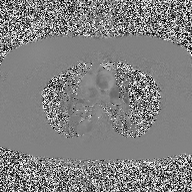
Q: What kind of scan is this?
A: 2D phase-contrast cine MRI of the ascending aorta.